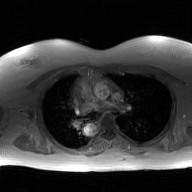
modality = 2D phase-contrast cine MRI of the ascending aorta, GAN super-resolution reconstruction.